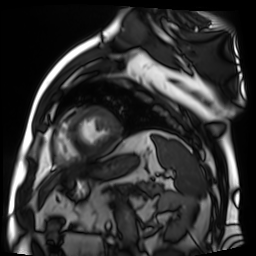
{
  "modality": "cardiac MR image of the myocardium",
  "cohort": "cardiac patient"
}